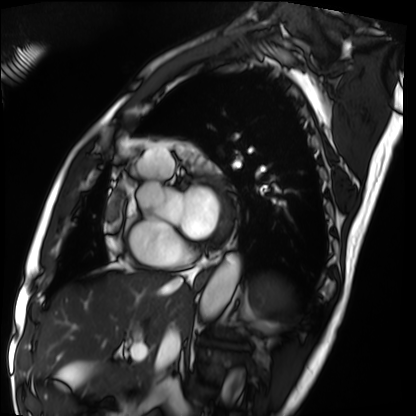
modality=cardiac MRI
subject group=patient